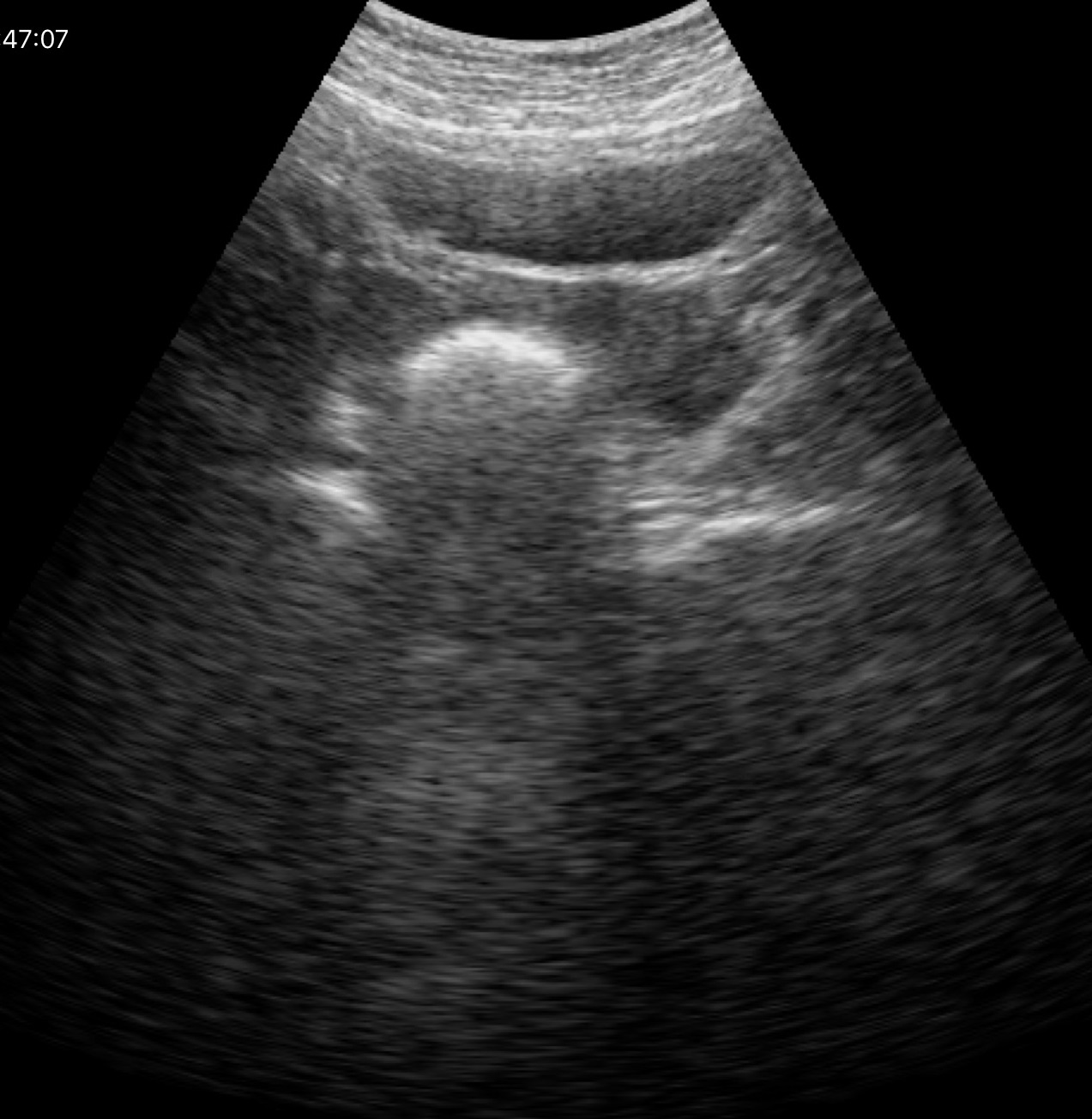
{
  "modality": {
    "type": "genitourinary ultrasound"
  }
}